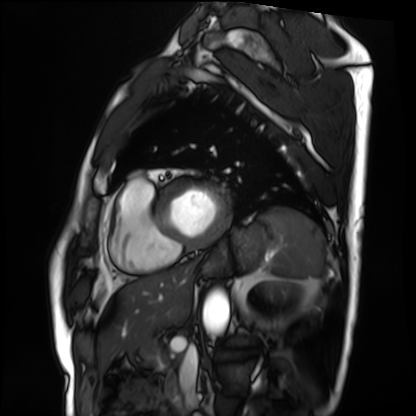
Summary:
Cardiac MRI. Subject group: patient.